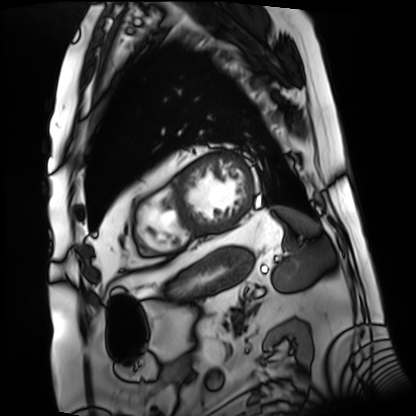
modality: cardiac MRI
cohort: patient